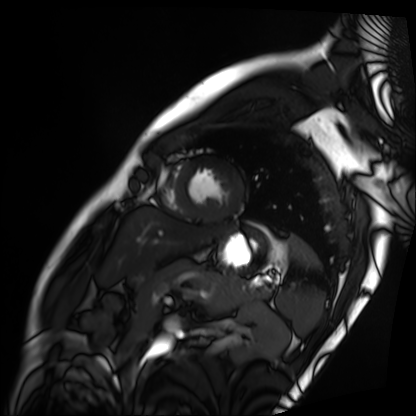
| field | value |
|---|---|
| modality | cardiac MRI |
| subject group | patient |